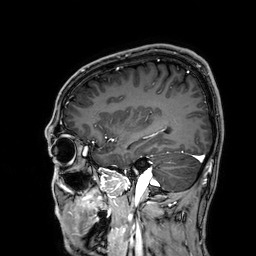
Q: What kind of scan is this?
A: 3 Tesla brain MRI.
Q: Series?
A: 3D T1-weighted.
Study: ring-enhancing brain masses.